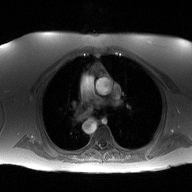
2D phase-contrast cine MRI of the ascending aorta, high-resolution GRAPPA acquisition.